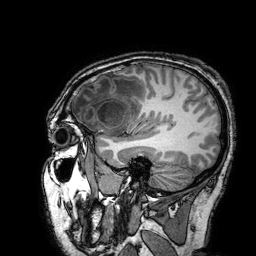
3 Tesla brain MRI. Series: 3D T1-weighted turbo field echo with SENSE. Study: ring-enhancing brain masses.